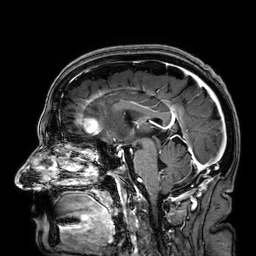
3 Tesla brain MRI. Series: 3D T1-weighted. Study: ring-enhancing brain masses.